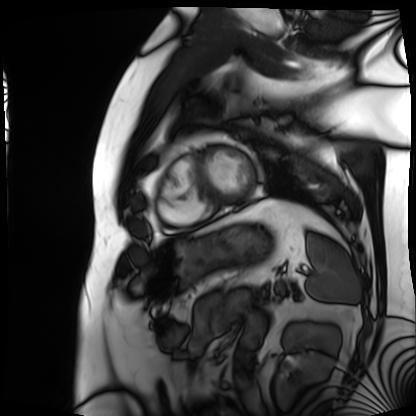
modality: cardiac MRI; subject group: patient.